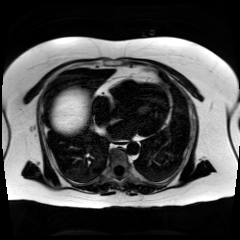
  modality: chemical-shift-encoded cardiac MRI